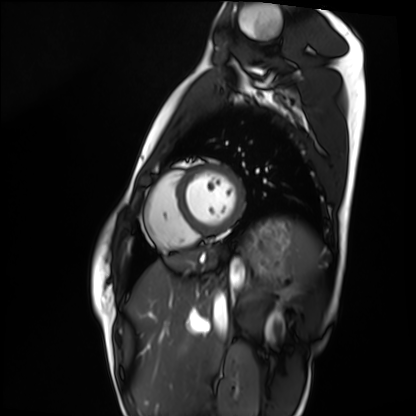
modality: cardiac MRI | subject group: healthy volunteer.